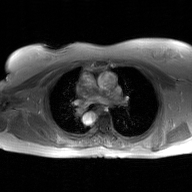
Case summary:
2D phase-contrast cine MRI of the ascending aorta, GAN super-resolution reconstruction.